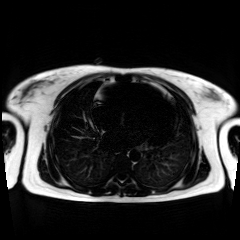
Chemical-shift-encoded cardiac MRI.